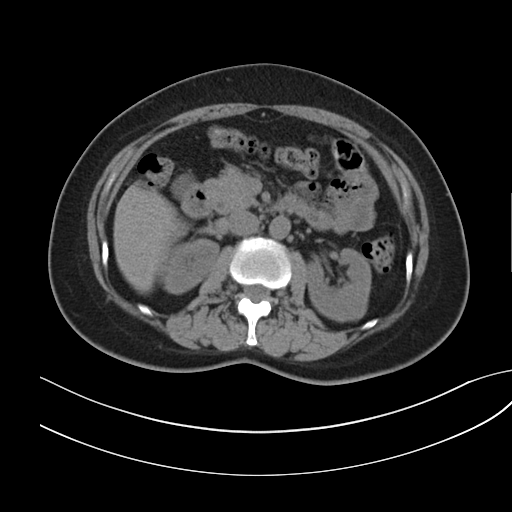
Multiphase abdominal CT, liver, non-contrast phase. Patient: female, age 53. History: prior chemotherapy.